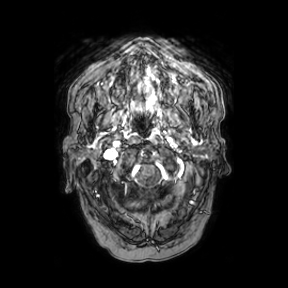
• modality: 3 Tesla brain MRI
• series: axial
• study: ring-enhancing brain masses